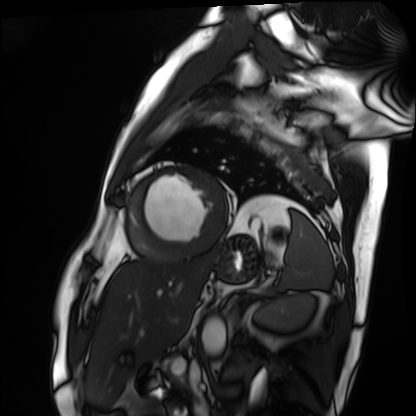
Cardiac MRI.
Subject group: patient.